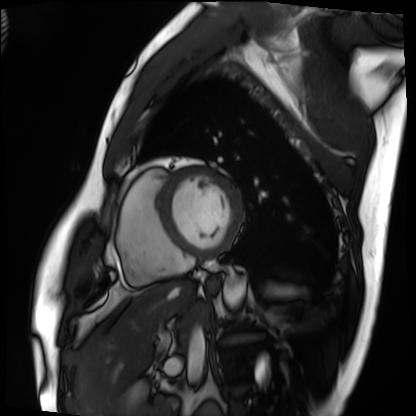
modality = cardiac MRI; subject group = patient.